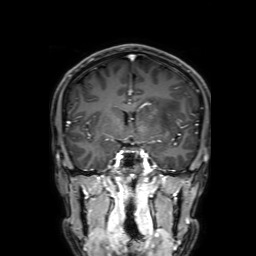
3 Tesla brain MRI. Series: 3D T1-weighted with SENSE. Study: ring-enhancing brain masses.